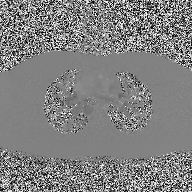
{"modality": {"type": "2D phase-contrast cine MRI", "region": "ascending aorta", "reconstruction": "high-resolution GRAPPA acquisition"}}